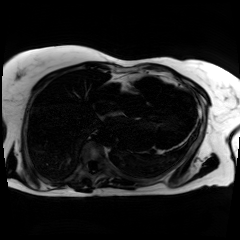
Chemical-shift-encoded cardiac MRI.